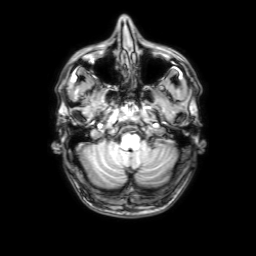
modality: 3 Tesla brain MRI
series: 3D T1-weighted with SENSE
study: ring-enhancing brain masses